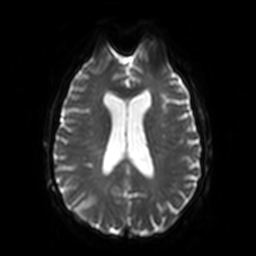
Summary: 3 Tesla brain MRI. Series: diffusion-weighted imaging. Study: ring-enhancing brain masses.